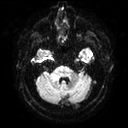
<case>
  <modality>
    <type>brain MRI</type>
    <field_strength>3T</field_strength>
  </modality>
  <series>diffusion tensor imaging (medium iso)</series>
  <study_topic>ring-enhancing brain masses</study_topic>
</case>